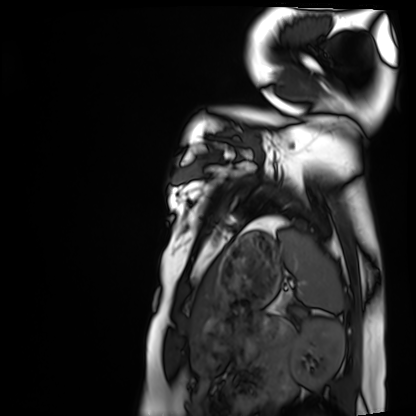
Cardiac MRI. Subject group: healthy volunteer.